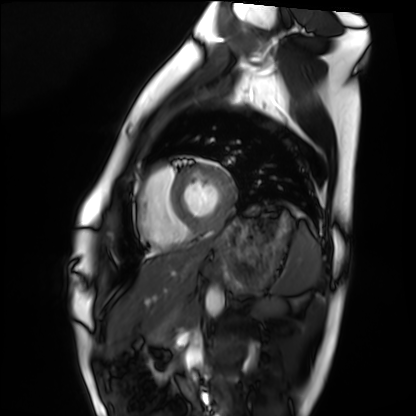
Summary:
Cardiac MRI. Subject group: healthy volunteer.